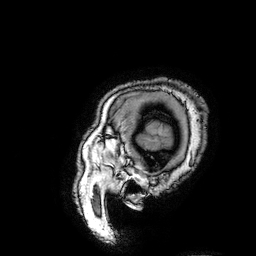
modality — 3 Tesla brain MRI; study — ring-enhancing brain masses.